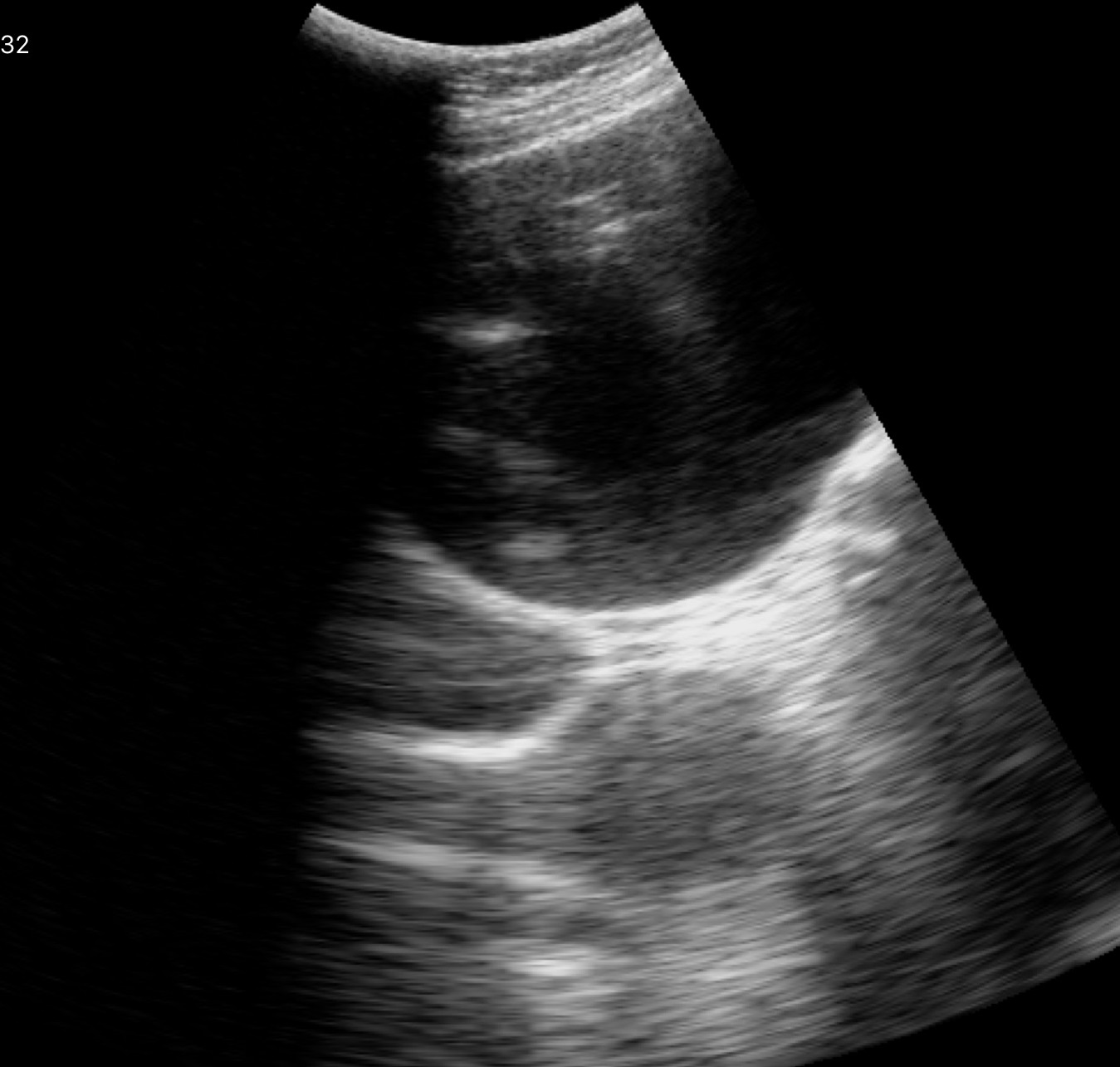
Genitourinary ultrasound.